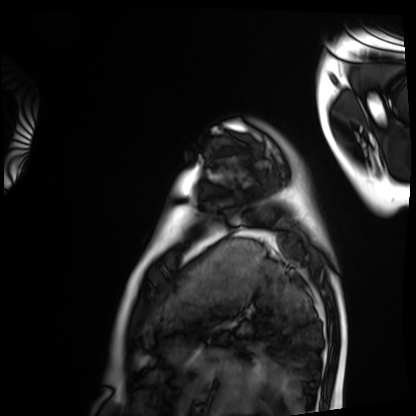
| field | value |
|---|---|
| modality | cardiac MRI |
| subject group | healthy volunteer |